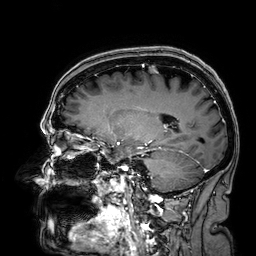
{"modality": {"type": "brain MRI", "field_strength": "3T"}, "series": "3D T1-weighted", "study_topic": "ring-enhancing brain masses"}